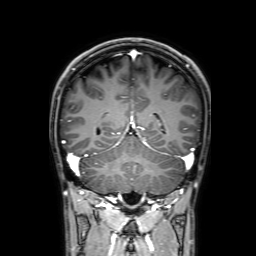
Summary: 3 Tesla brain MRI. Series: 3D T1-weighted with SENSE. Study: ring-enhancing brain masses.